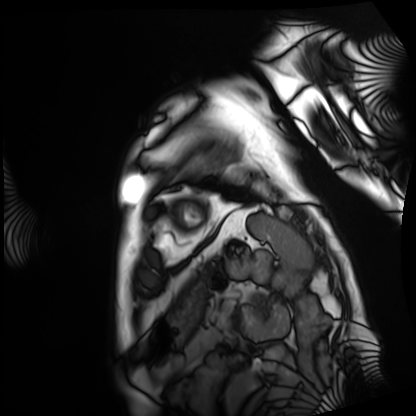
Cardiac MRI.
Subject group: patient.